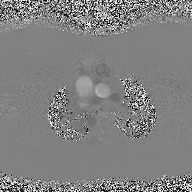
2D phase-contrast cine MRI of the ascending aorta, high-resolution GRAPPA acquisition.